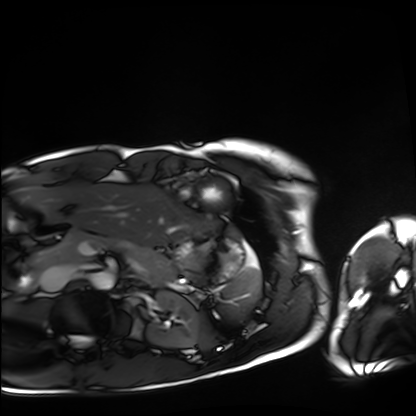
Cardiac MRI.
Subject group: healthy volunteer.